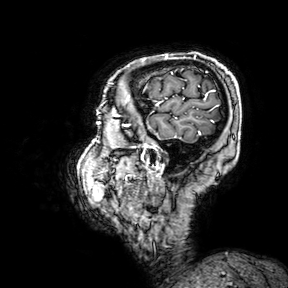
modality:
  type: brain MRI
  field_strength: 3T
series: 3D T1-weighted turbo field echo with SENSE
study_topic: ring-enhancing brain masses